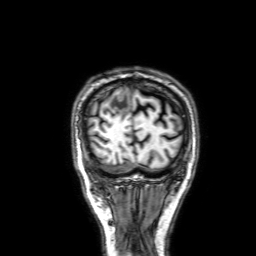
| field | value |
|---|---|
| modality | 3 Tesla brain MRI |
| series | 3D T1-weighted with SENSE |
| study | ring-enhancing brain masses |